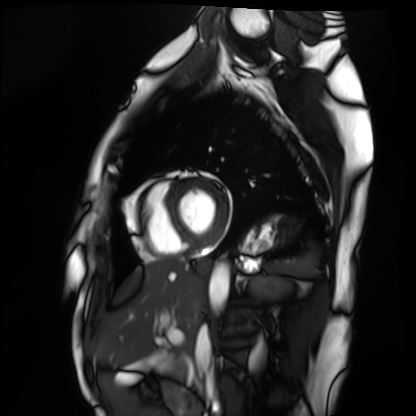
– modality: cardiac MRI
– subject group: healthy volunteer